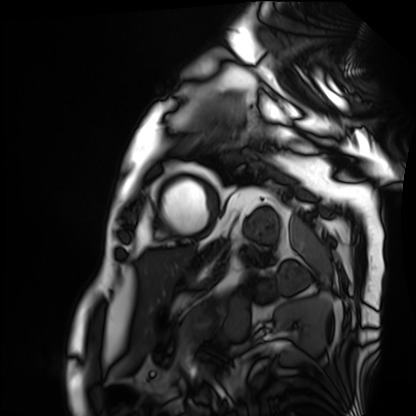
Summary: Cardiac MRI. Subject group: patient.